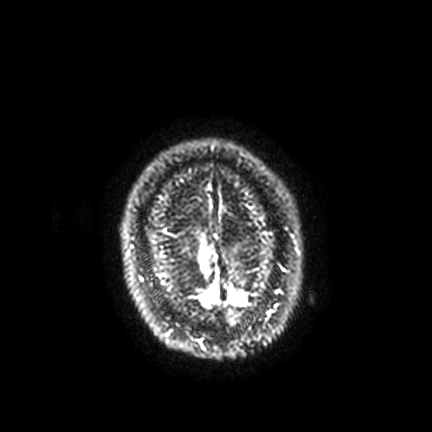
3 Tesla brain MRI. Series: FLAIR VISTA with SENSE. Study: ring-enhancing brain masses.